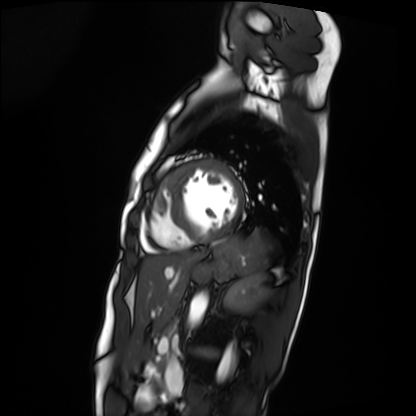
Cardiac MRI. Subject group: patient.